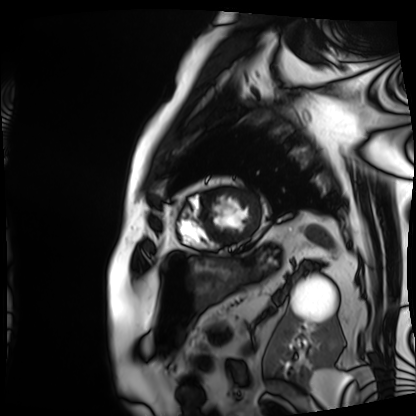
modality: cardiac MRI | subject group: patient.